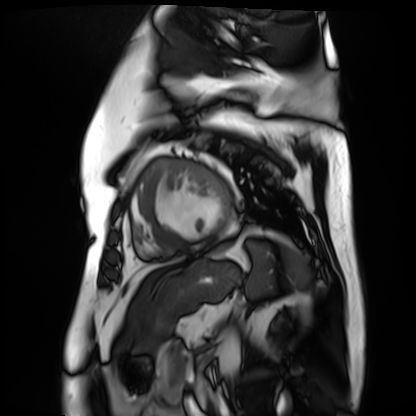
Case summary: Cardiac MR image of the myocardium. Subject cohort: cardiac patient.